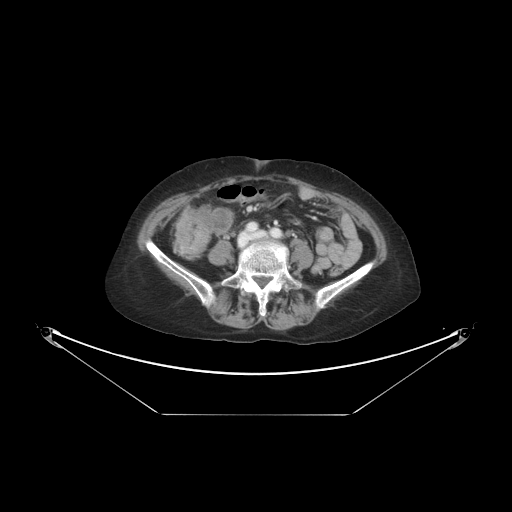
– modality · multiphase abdominal CT, liver, portal venous phase
– patient · female, age 63